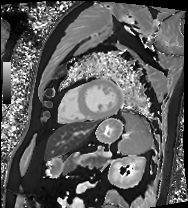
Cardiac MRI.
Subject group: patient.